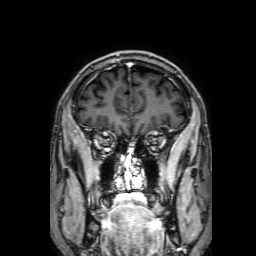
Summary: 3 Tesla brain MRI. Series: 3D T1-weighted with SENSE. Study: ring-enhancing brain masses.